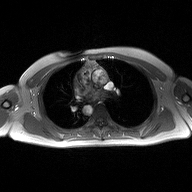
2D phase-contrast cine MRI of the ascending aorta, high-resolution GRAPPA acquisition.